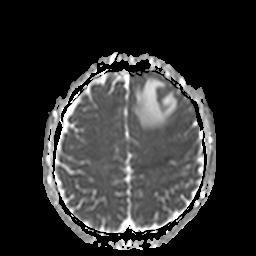
3 Tesla brain MRI.
Series: apparent diffusion coefficient (ADC) map.
Study: ring-enhancing brain masses.